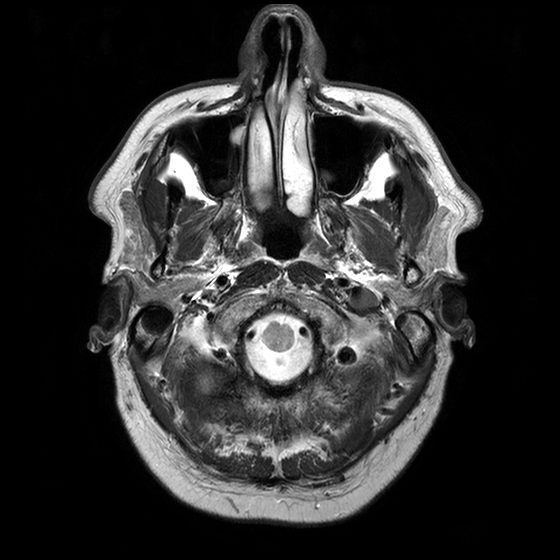
Summary: 3 Tesla brain MRI. Series: T2-weighted turbo spin echo with CLEAR. Study: ring-enhancing brain masses.